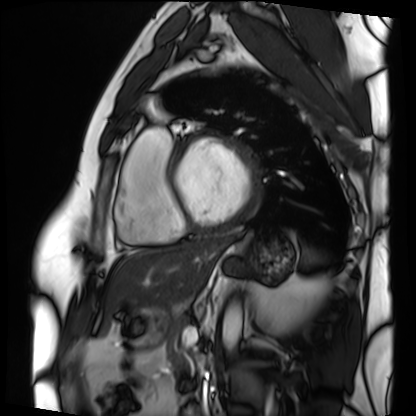
modality: cardiac MRI, subject group: patient.